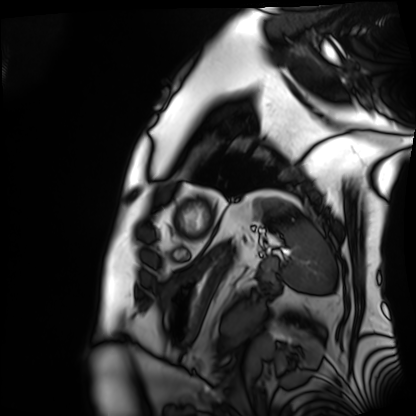
{"modality": "cardiac MRI", "cohort": "patient"}